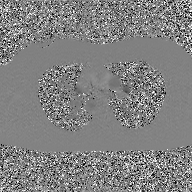
2D phase-contrast cine MRI of the ascending aorta, GAN super-resolution reconstruction.